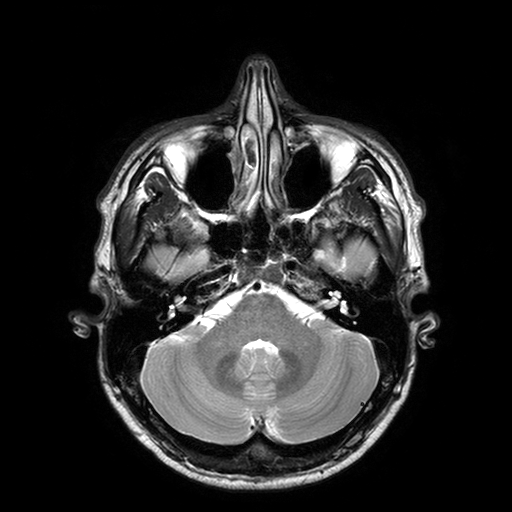
3 Tesla brain MRI. Series: T2-weighted turbo spin echo with SENSE. Study: ring-enhancing brain masses.